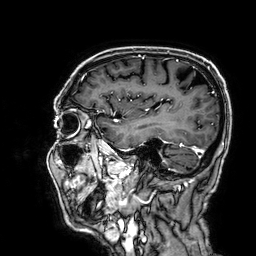
Clinical context: 3 Tesla brain MRI. Series: 3D T1-weighted. Study: ring-enhancing brain masses.